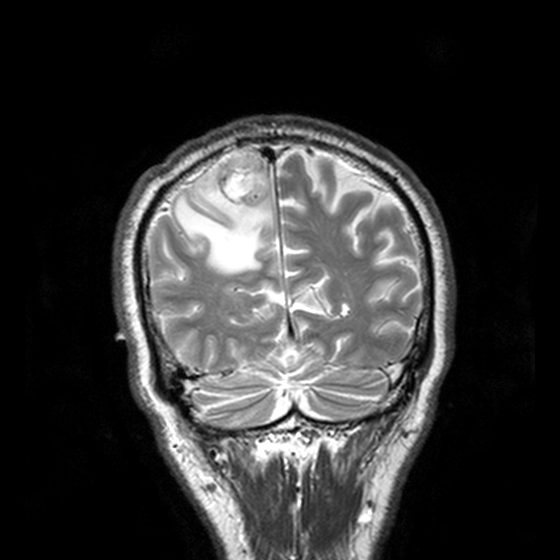
Clinical context: 3 Tesla brain MRI. Series: T2-weighted turbo spin echo, 3 mm. Study: ring-enhancing brain masses.